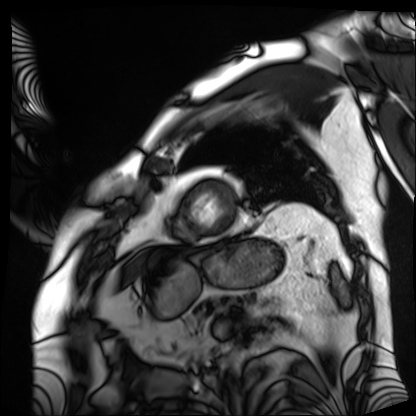
Cardiac MRI. Subject group: patient.